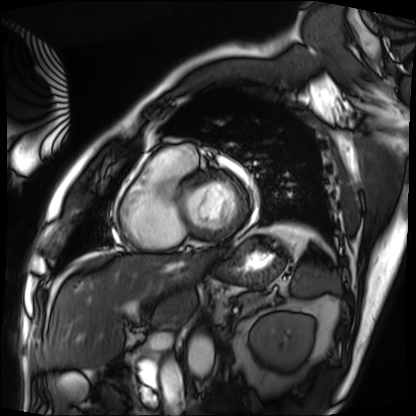
Case summary: Cardiac MRI. Subject group: patient.